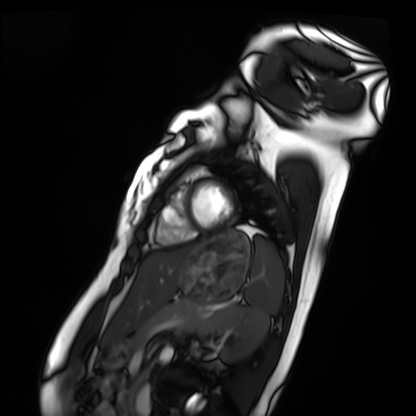
Cardiac MRI.
Subject group: healthy volunteer.